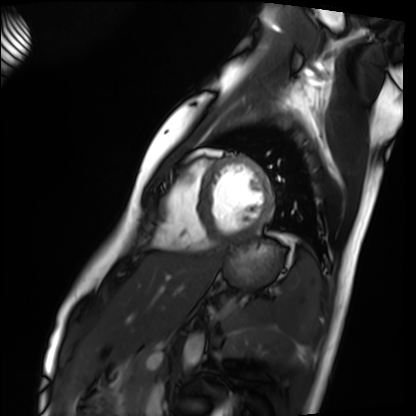
modality = cardiac MRI | subject group = healthy volunteer.